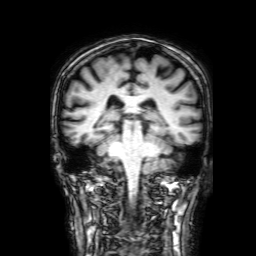
Summary:
3 Tesla brain MRI. Series: 3D T1-weighted with SENSE. Study: ring-enhancing brain masses.